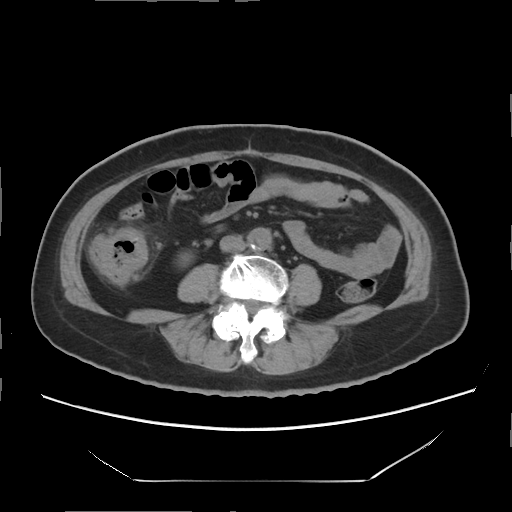
Summary:
Multiphase abdominal CT, liver, non-contrast phase. Patient: female, age 66.